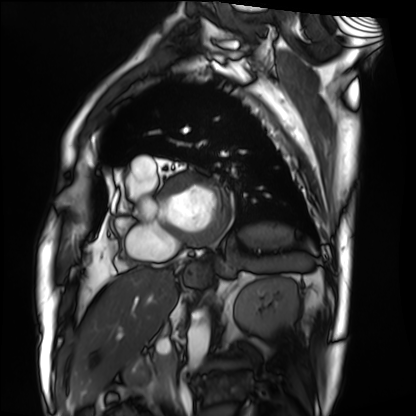
| field | value |
|---|---|
| modality | cardiac MRI |
| subject group | patient |